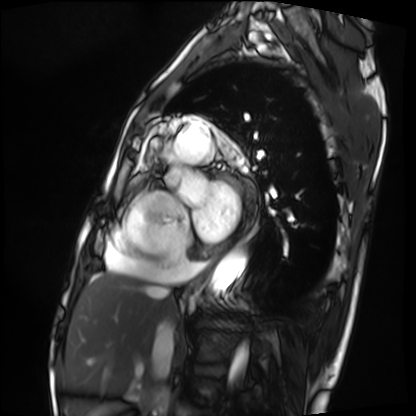
Cardiac MRI.
Subject group: patient.